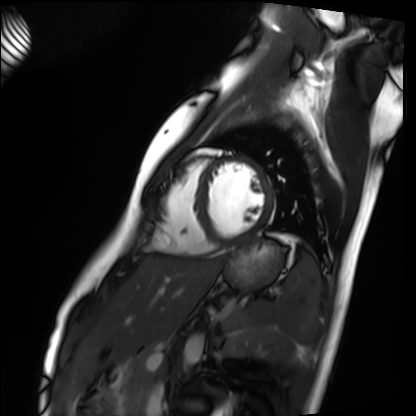
modality=cardiac MRI; subject group=healthy volunteer.